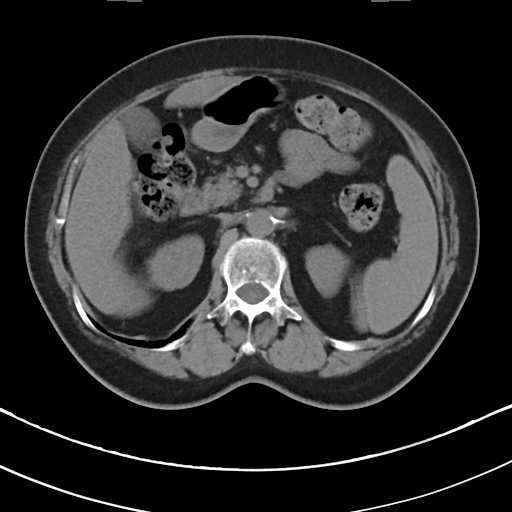
<study>
  <modality>
    <type>multiphase abdominal CT</type>
    <region>liver</region>
    <phase>non-contrast</phase>
  </modality>
  <patient>
    <sex>female</sex>
    <age>78</age>
  </patient>
</study>